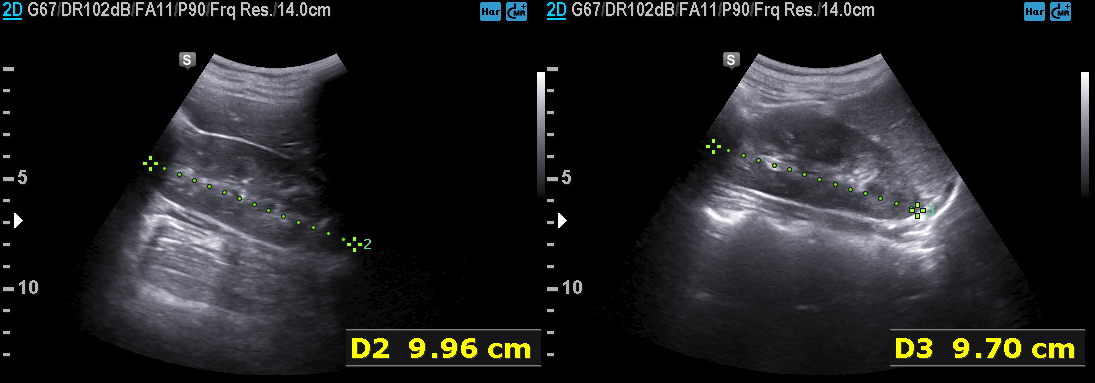
modality: genitourinary ultrasound.